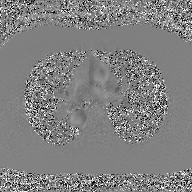
- modality: 2D phase-contrast cine MRI of the ascending aorta, GAN super-resolution reconstruction